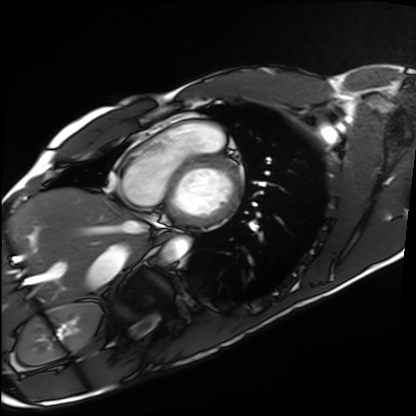
Case summary:
Cardiac MRI. Subject group: healthy volunteer.